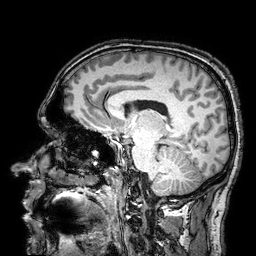
modality=3 Tesla brain MRI; series=3D T1-weighted turbo field echo with SENSE; study=ring-enhancing brain masses.